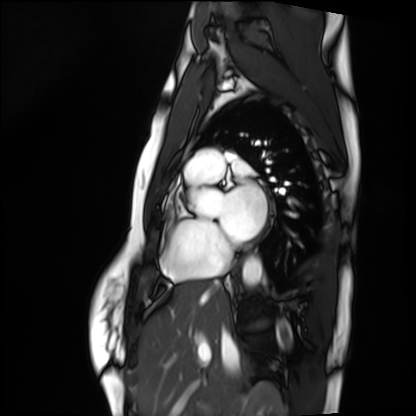
Cardiac MRI. Subject group: healthy volunteer.